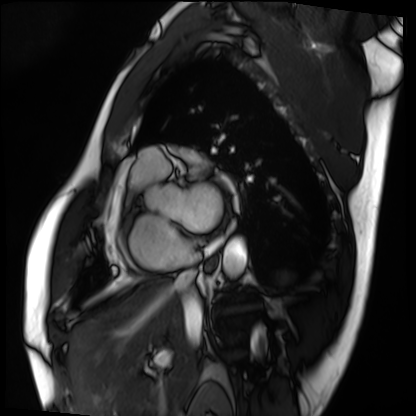
Summary:
Cardiac MRI. Subject group: patient.